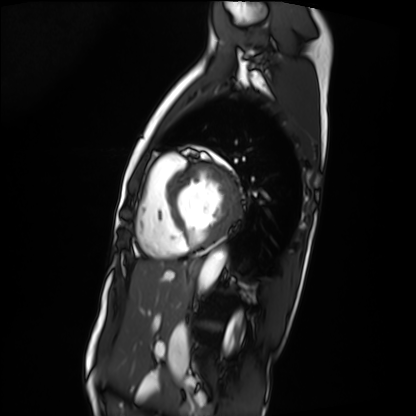
modality: cardiac MRI | subject group: patient.